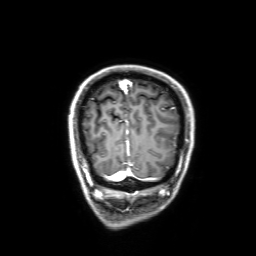
Case summary:
3 Tesla brain MRI. Series: 3D T1-weighted with SENSE. Study: ring-enhancing brain masses.